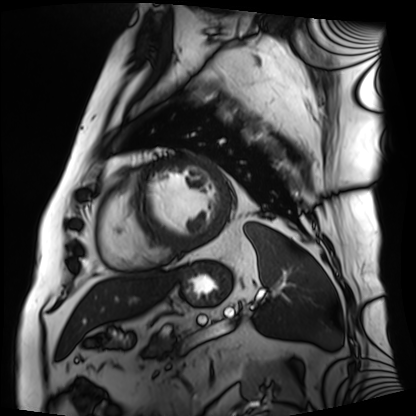
<study>
  <modality>cardiac MRI</modality>
  <cohort>patient</cohort>
</study>